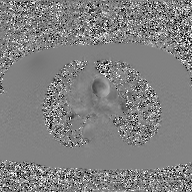
<case>
<modality>
  <type>2D phase-contrast cine MRI</type>
  <region>ascending aorta</region>
  <reconstruction>GAN super-resolution reconstruction</reconstruction>
</modality>
</case>